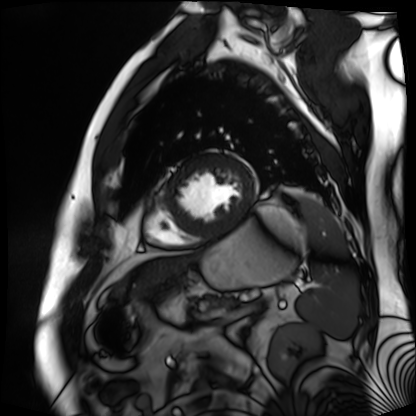
Clinical context:
Cardiac MR image of the myocardium. Subject cohort: cardiac patient.